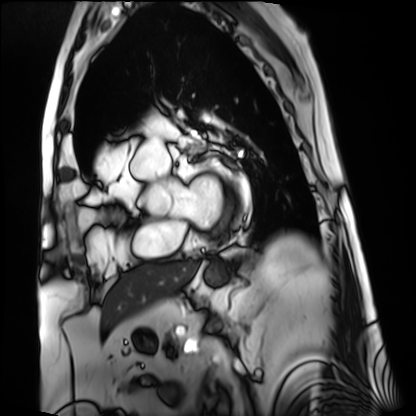
  modality: cardiac MRI
  cohort: patient